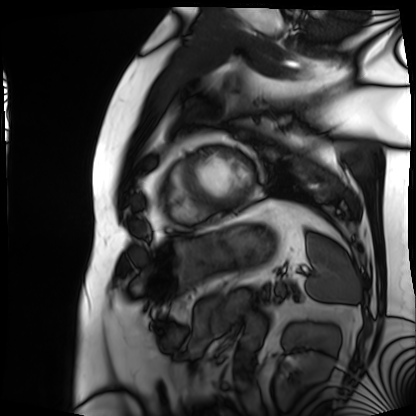
<case>
  <modality>cardiac MRI</modality>
  <cohort>patient</cohort>
</case>